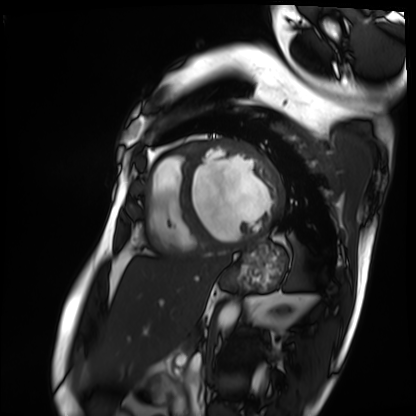
Clinical context:
Cardiac MRI. Subject group: patient.